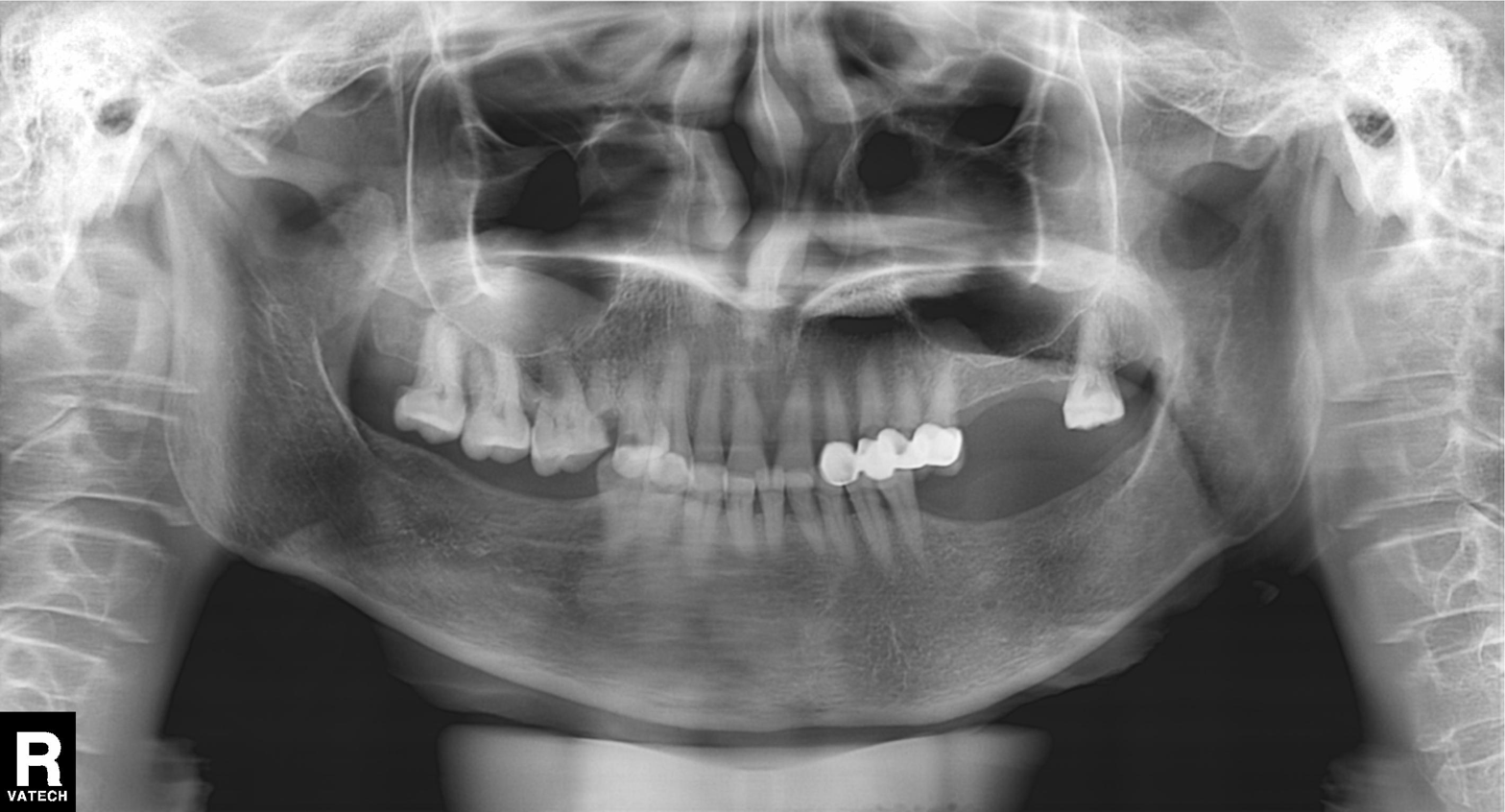
modality: panoramic dental radiograph (orthopantomogram), finding: dental caries (cavities).